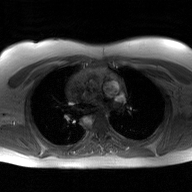
modality = 2D phase-contrast cine MRI of the ascending aorta, GAN super-resolution reconstruction.